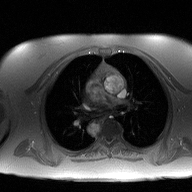
| field | value |
|---|---|
| modality | 2D phase-contrast cine MRI of the ascending aorta |